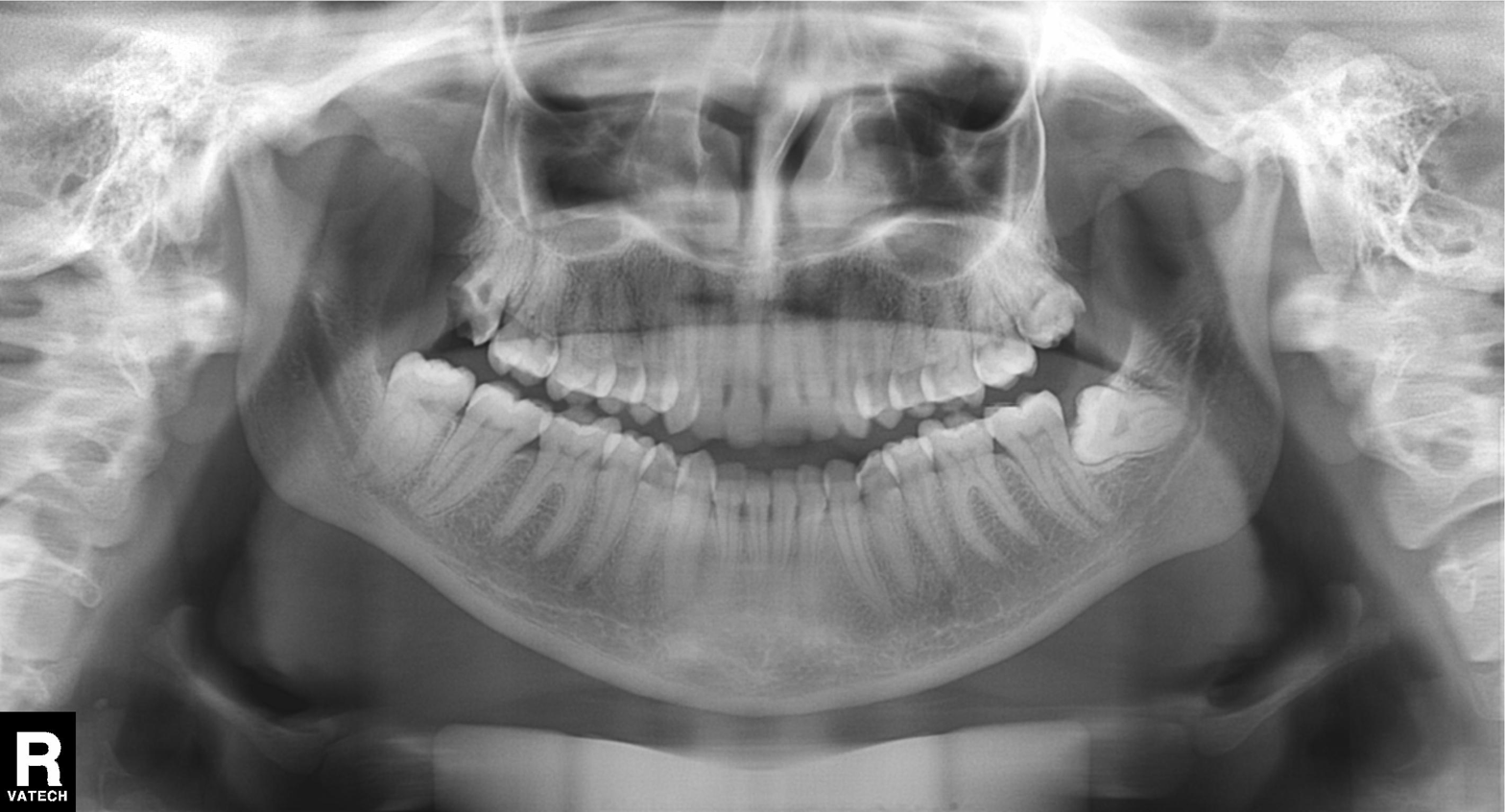
modality = panoramic dental radiograph (orthopantomogram); finding = tooth impaction.